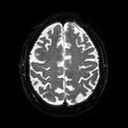
Q: What kind of scan is this?
A: 3 Tesla brain MRI.
Q: Series?
A: Diffusion tensor imaging (medium iso).
Study: ring-enhancing brain masses.